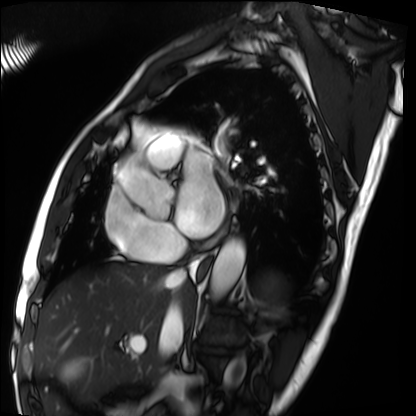
Cardiac MRI. Subject group: patient.